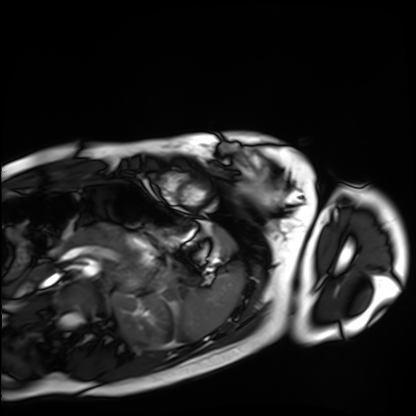
Cardiac MRI.
Subject group: healthy volunteer.